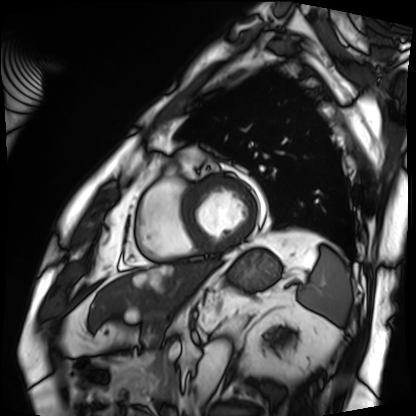
Case summary:
Cardiac MRI. Subject group: patient.